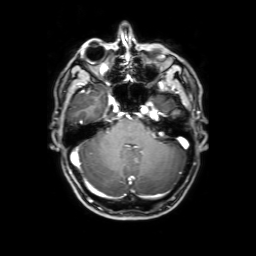
modality = 3 Tesla brain MRI
series = 3D T1-weighted with SENSE
study = ring-enhancing brain masses